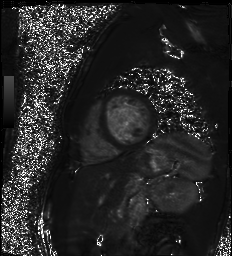
Cardiac MR image of the myocardium.
Subject cohort: healthy volunteer.